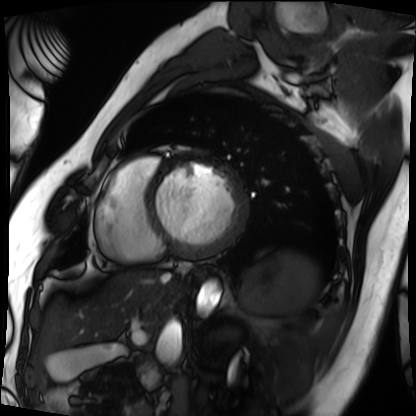
Cardiac MRI. Subject group: patient.